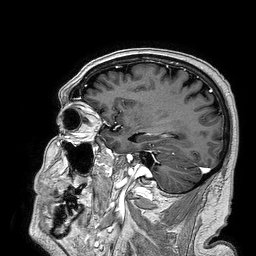
<case>
<modality>
  <type>brain MRI</type>
  <field_strength>3T</field_strength>
</modality>
<series>3D T1-weighted turbo field echo</series>
<study_topic>ring-enhancing brain masses</study_topic>
</case>